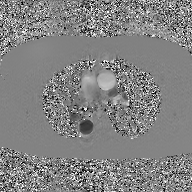
• modality: 2D phase-contrast cine MRI of the ascending aorta, GAN super-resolution reconstruction